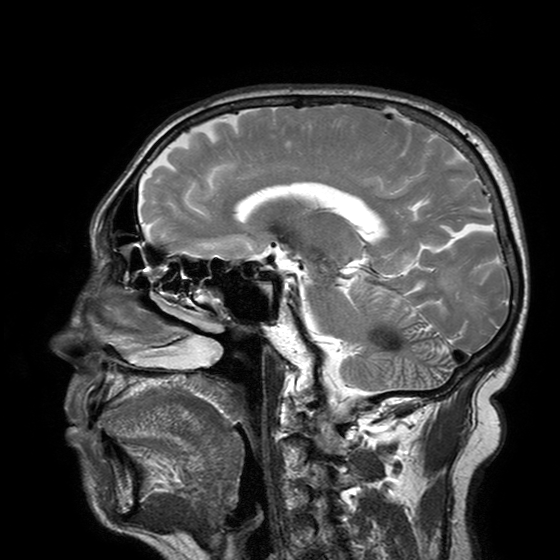
modality:
  type: brain MRI
  field_strength: 3T
series: T2-weighted turbo spin echo with SENSE
study_topic: ring-enhancing brain masses